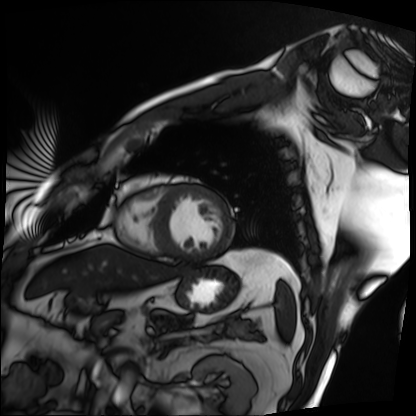
Cardiac MRI.
Subject group: patient.